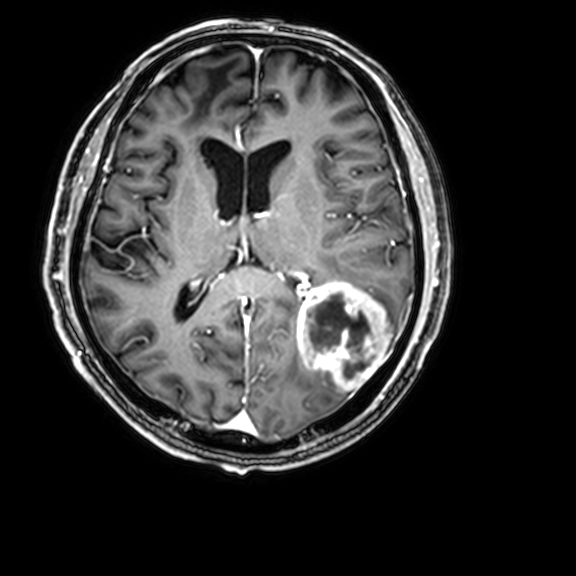
3 Tesla brain MRI. Series: 3D T1-weighted with CLEAR. Study: ring-enhancing brain masses.